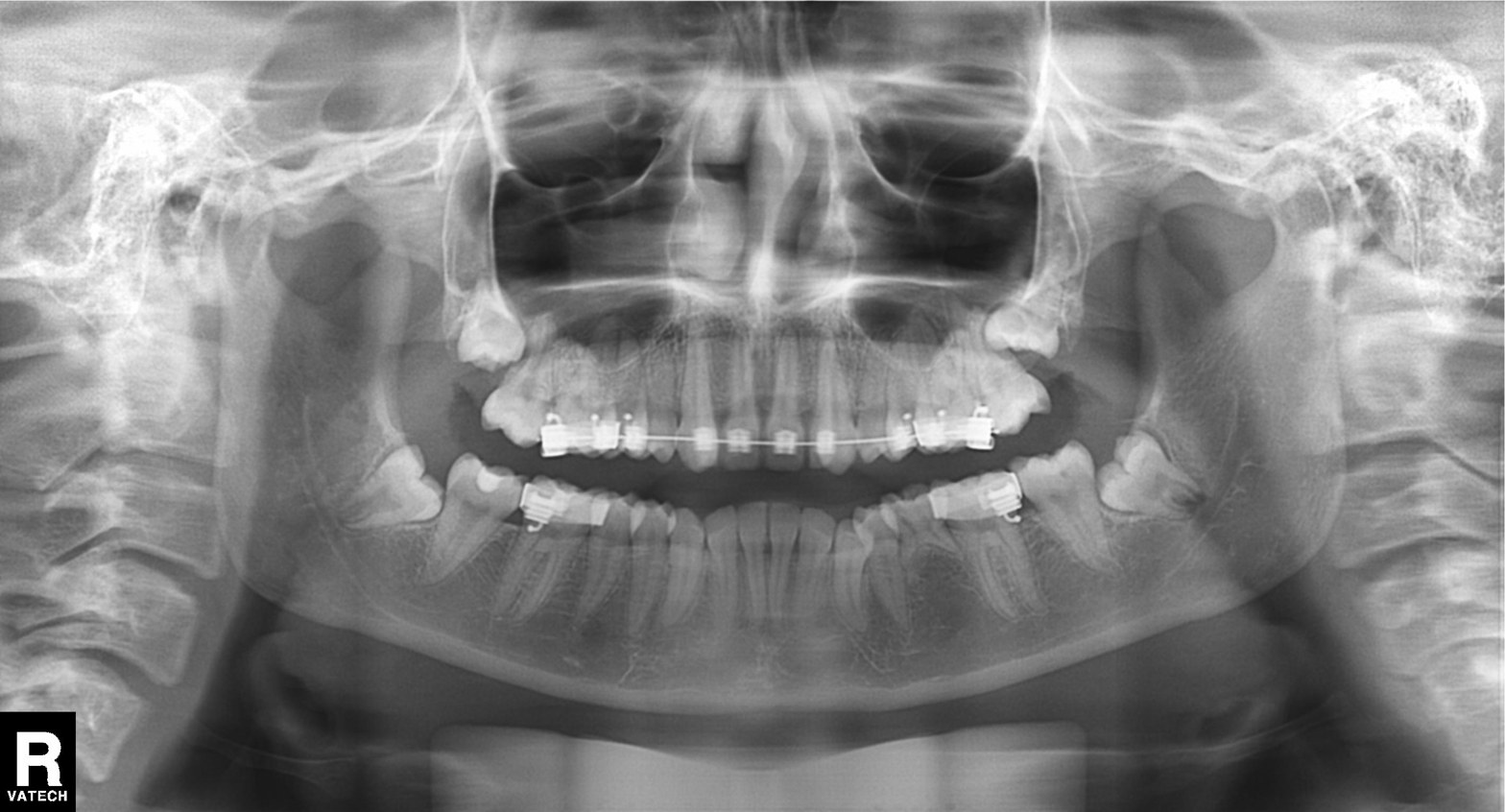
Findings:
– modality: panoramic dental radiograph (orthopantomogram)
– finding: tooth impaction